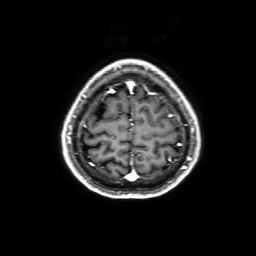
Q: What kind of scan is this?
A: 3 Tesla brain MRI.
Q: Series?
A: 3D T1-weighted with SENSE.
Study: ring-enhancing brain masses.